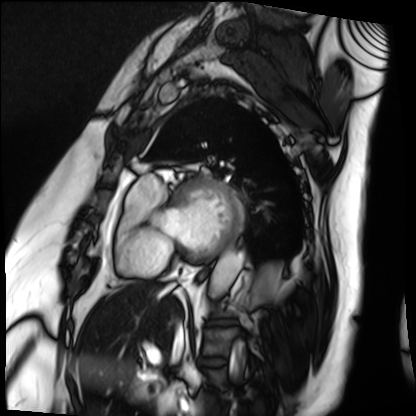
Cardiac MRI.
Subject group: patient.